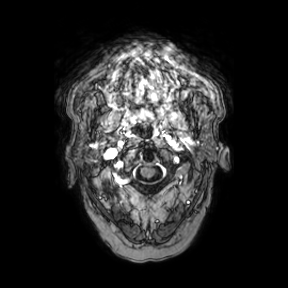
<case>
  <modality>
    <type>brain MRI</type>
    <field_strength>3T</field_strength>
  </modality>
  <series>axial</series>
  <study_topic>ring-enhancing brain masses</study_topic>
</case>